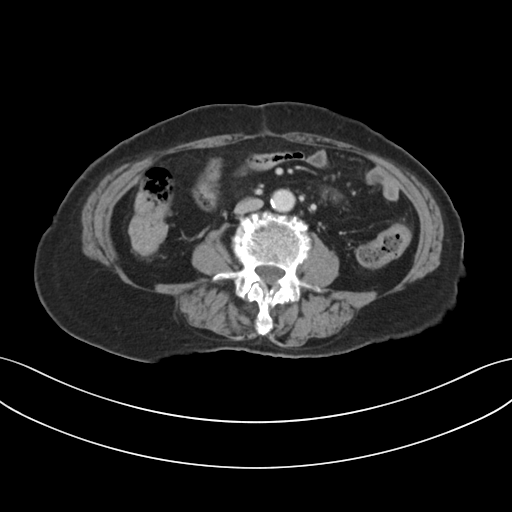
Multiphase abdominal CT, liver, portal venous phase. Patient: female, age 73. History: prior chemotherapy.